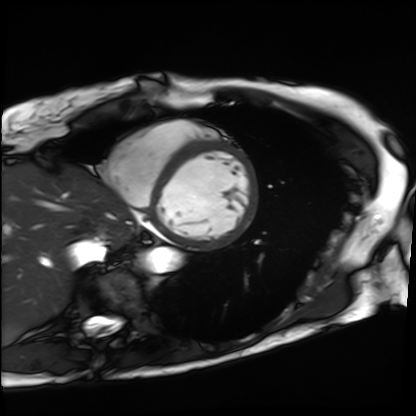
Cardiac MRI.
Subject group: patient.